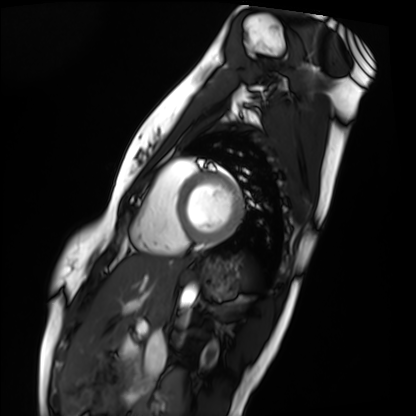
Clinical context: Cardiac MRI. Subject group: healthy volunteer.